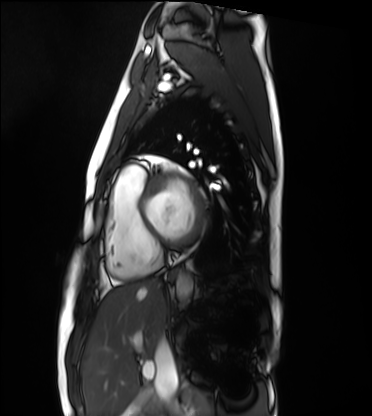
Cardiac MRI. Subject group: healthy volunteer.